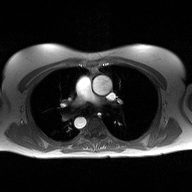
2D phase-contrast cine MRI of the ascending aorta, high-resolution GRAPPA acquisition.